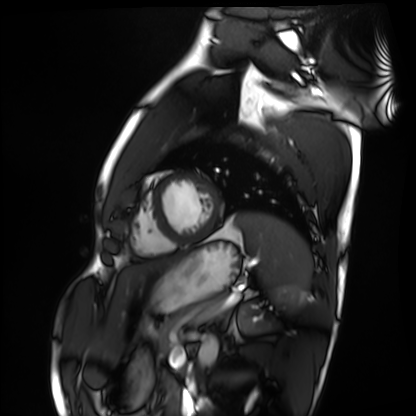
Summary:
Cardiac MRI. Subject group: healthy volunteer.